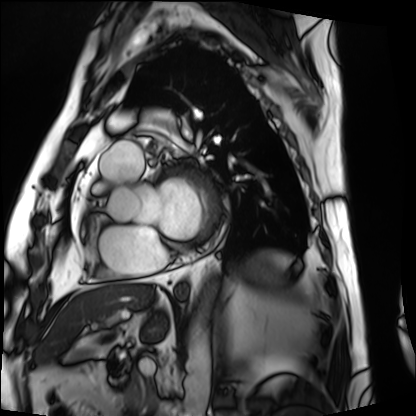
Case summary: Cardiac MRI. Subject group: patient.